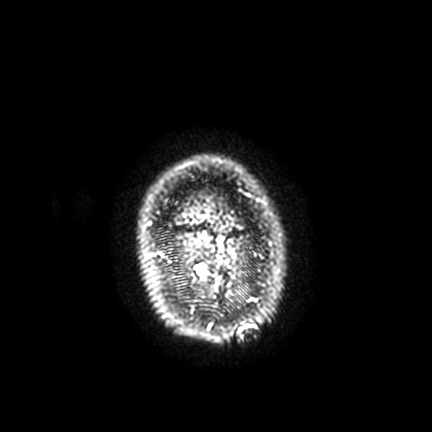
<record>
  <modality>
    <type>brain MRI</type>
    <field_strength>3T</field_strength>
  </modality>
  <series>FLAIR VISTA with SENSE</series>
  <study_topic>ring-enhancing brain masses</study_topic>
</record>